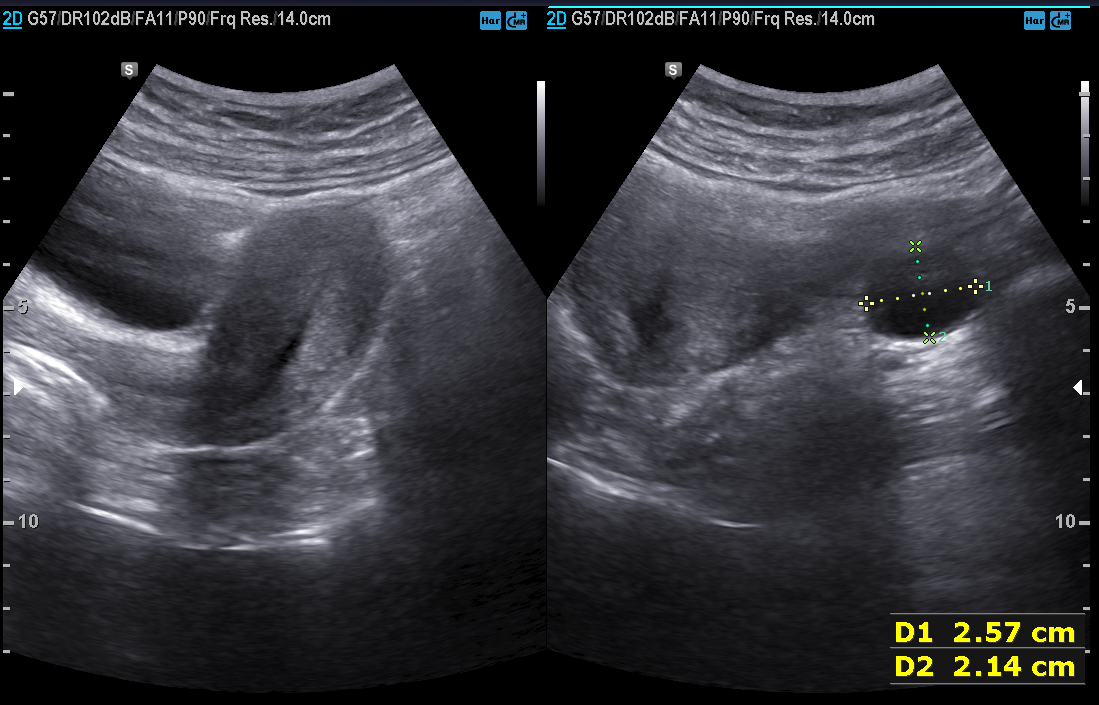
Q: What kind of scan is this?
A: Genitourinary ultrasound.